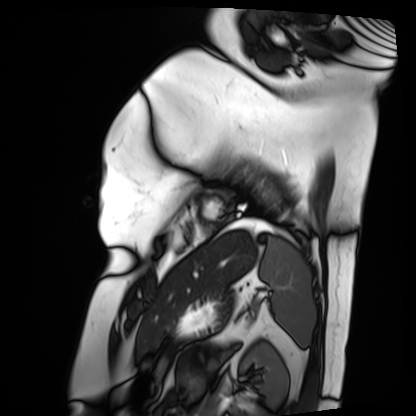
Summary:
Cardiac MRI. Subject group: patient.